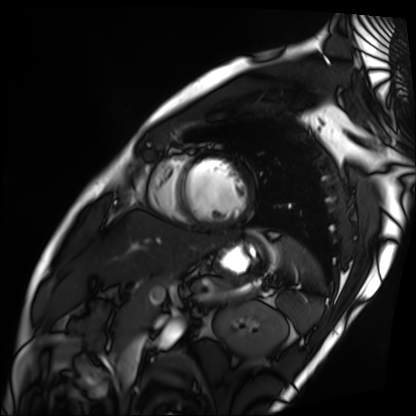
Cardiac MRI.
Subject group: patient.